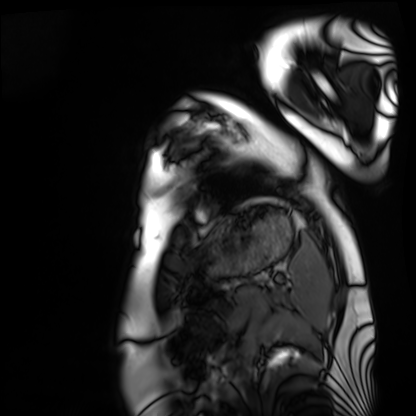
modality: cardiac MRI | subject group: healthy volunteer.